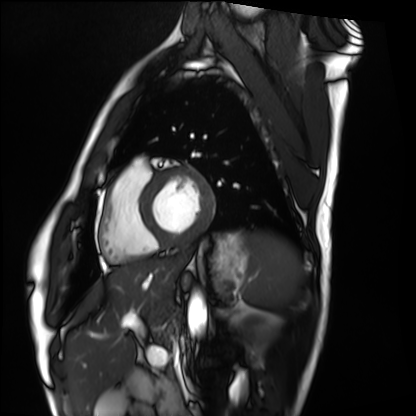
| field | value |
|---|---|
| modality | cardiac MRI |
| subject group | healthy volunteer |